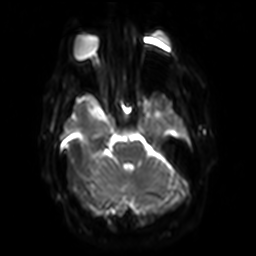
modality = 3 Tesla brain MRI
series = diffusion-weighted imaging with SENSE (WIP)
study = ring-enhancing brain masses